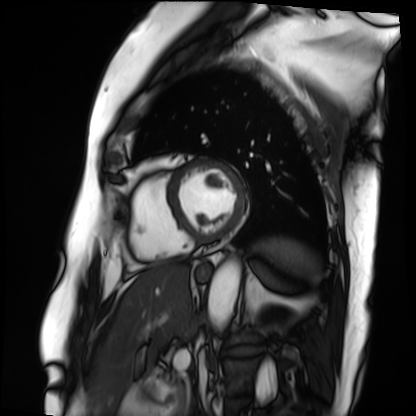
modality: cardiac MRI | subject group: patient.